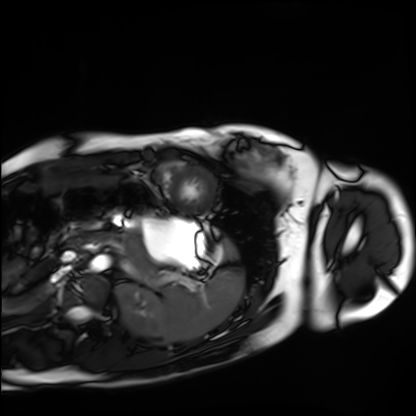
<scan>
<modality>cardiac MRI</modality>
<cohort>healthy volunteer</cohort>
</scan>